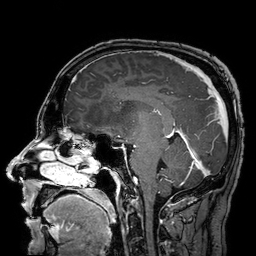
<scan>
<modality>
  <type>brain MRI</type>
  <field_strength>3T</field_strength>
</modality>
<series>3D T1-weighted turbo field echo with SENSE</series>
<study_topic>ring-enhancing brain masses</study_topic>
</scan>